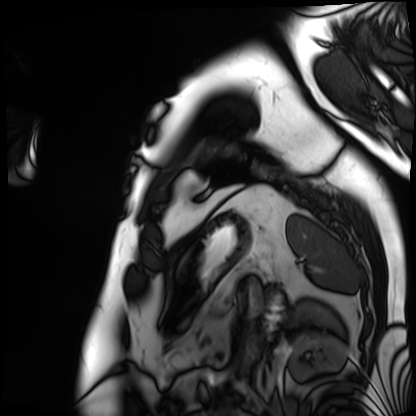
Summary:
Cardiac MRI. Subject group: patient.